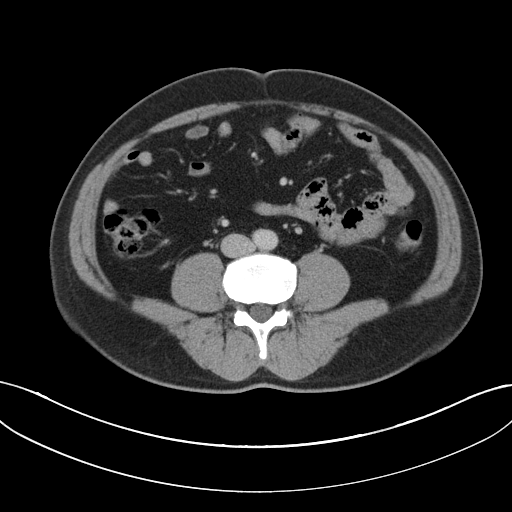
<study>
  <modality>
    <type>multiphase abdominal CT</type>
    <region>liver</region>
    <phase>portal venous</phase>
  </modality>
  <patient>
    <sex>male</sex>
    <age>46</age>
  </patient>
</study>